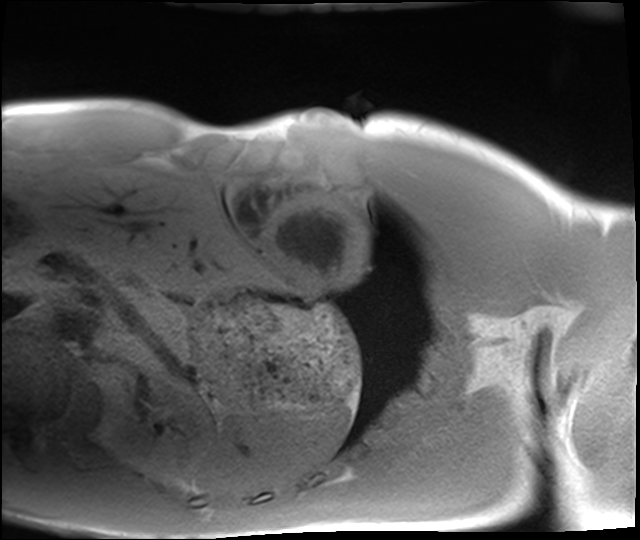
Q: What kind of scan is this?
A: Cardiac MRI.
Subject group: healthy volunteer.